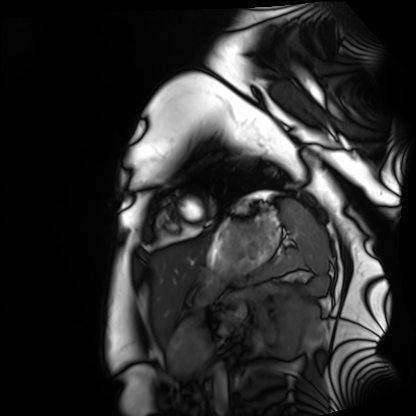
Clinical context:
Cardiac MRI. Subject group: healthy volunteer.